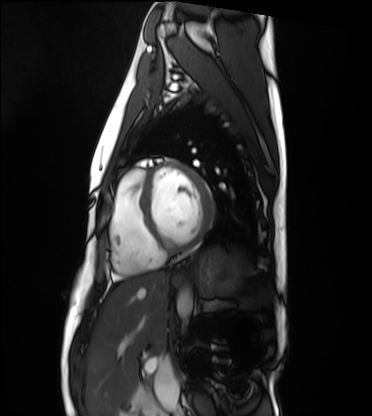
Summary: Cardiac MRI. Subject group: healthy volunteer.